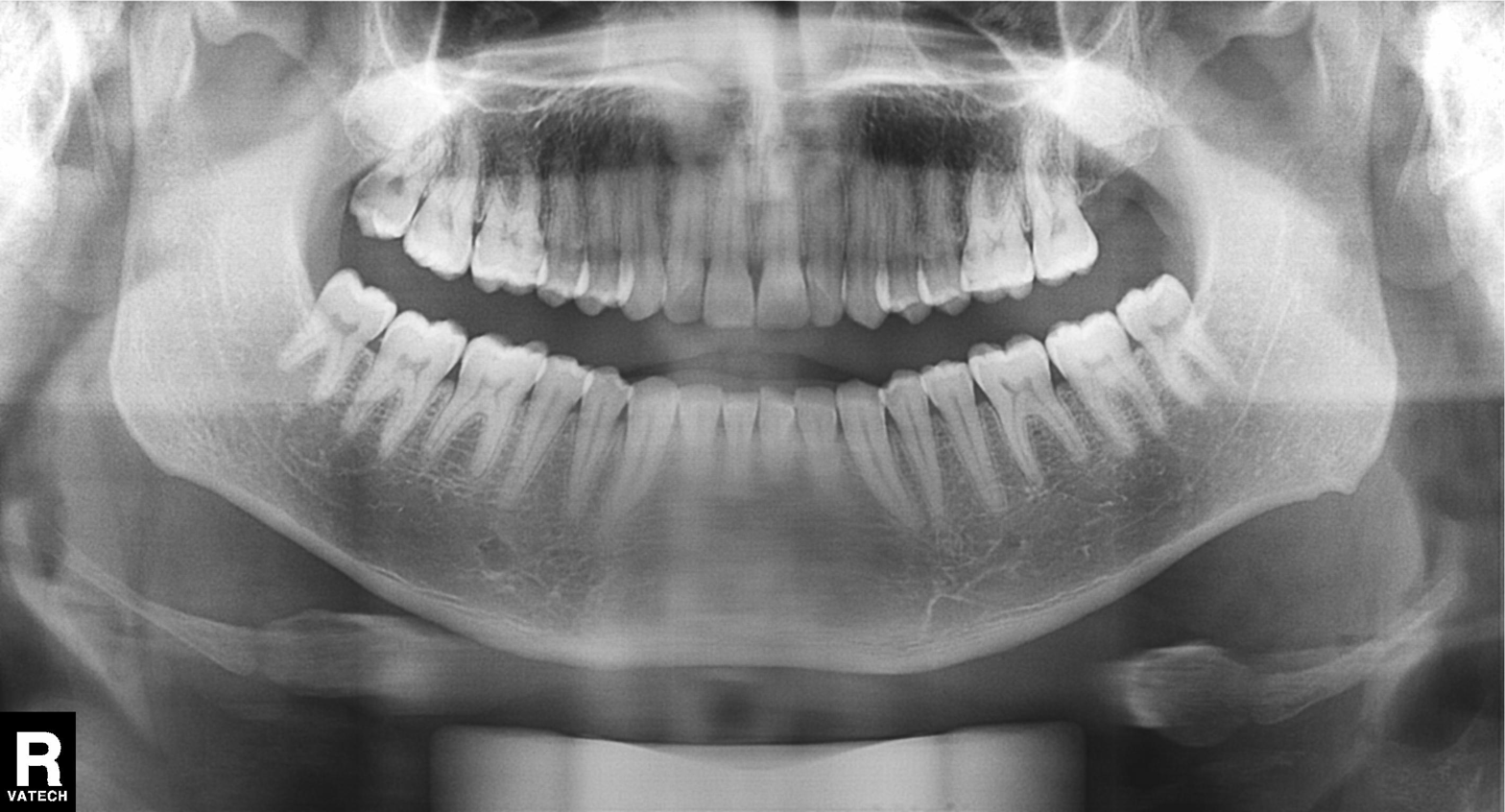
Q: What kind of scan is this?
A: Panoramic dental radiograph (orthopantomogram).
Q: What is the radiographic finding?
A: Tooth impaction.